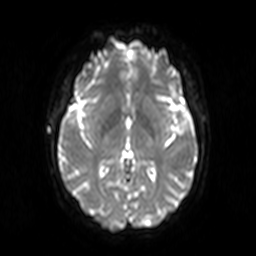
Q: What kind of scan is this?
A: 3 Tesla brain MRI.
Q: Series?
A: Diffusion-weighted imaging.
Study: ring-enhancing brain masses.